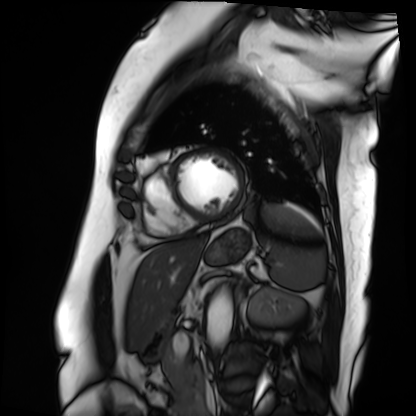
Cardiac MRI. Subject group: patient.